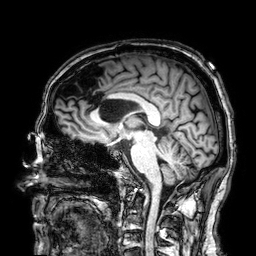
Summary: 3 Tesla brain MRI. Series: 3D T1-weighted. Study: ring-enhancing brain masses.